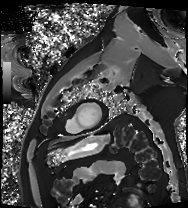
• modality · cardiac MRI
• subject group · patient